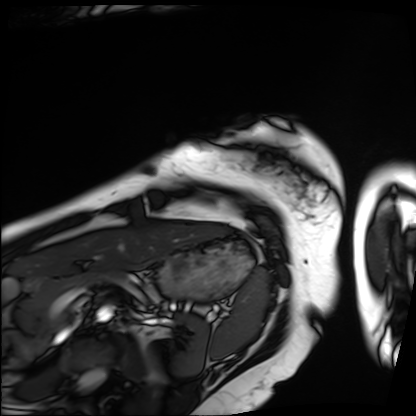
Clinical context: Cardiac MRI. Subject group: patient.